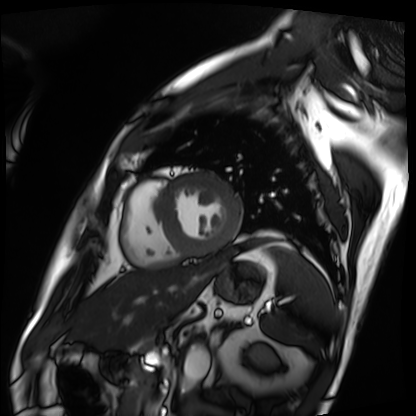
Cardiac MRI.
Subject group: patient.